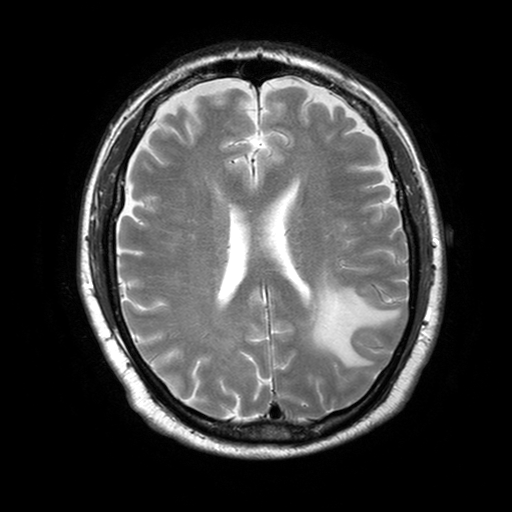
{"modality": {"type": "brain MRI", "field_strength": "3T"}, "series": "T2-weighted turbo spin echo with SENSE", "study_topic": "ring-enhancing brain masses"}